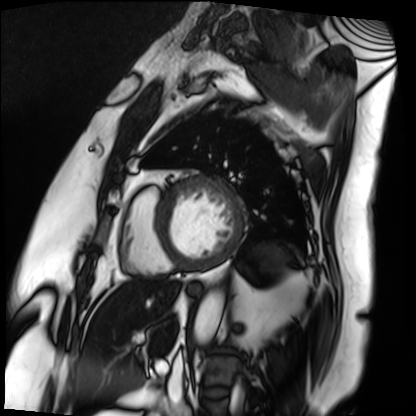
- modality: cardiac MRI
- subject group: patient